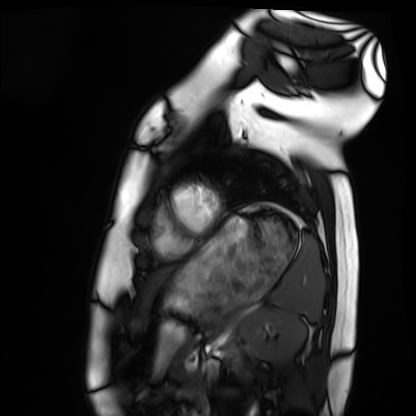
modality = cardiac MRI
subject group = healthy volunteer